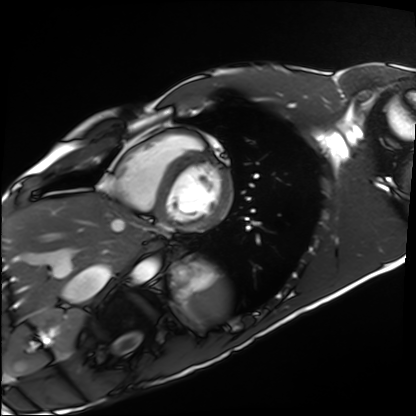
modality: cardiac MRI | subject group: healthy volunteer.